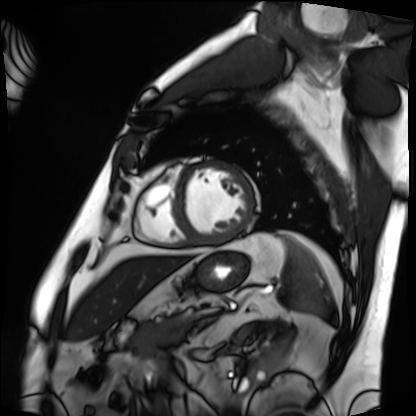
Cardiac MRI.
Subject group: patient.